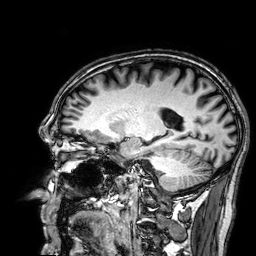
3 Tesla brain MRI. Series: 3D T1-weighted. Study: ring-enhancing brain masses.